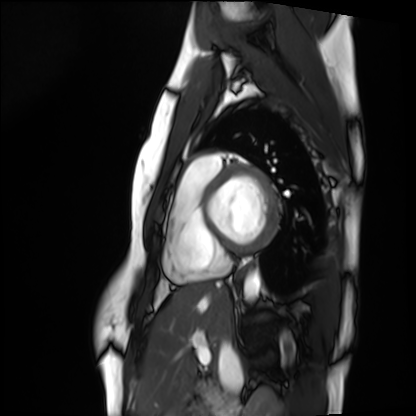
| field | value |
|---|---|
| modality | cardiac MRI |
| subject group | healthy volunteer |